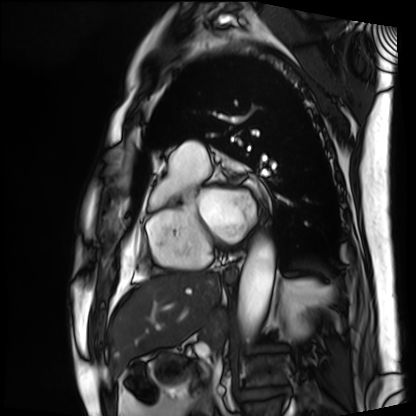
Case summary:
Cardiac MRI. Subject group: patient.